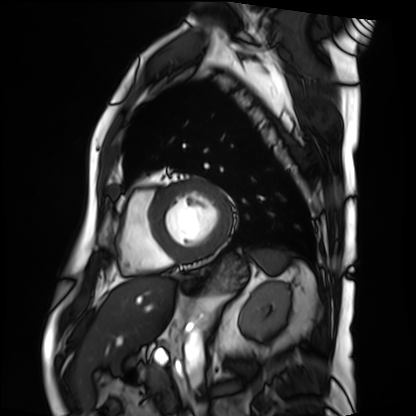
* modality · cardiac MRI
* subject group · patient